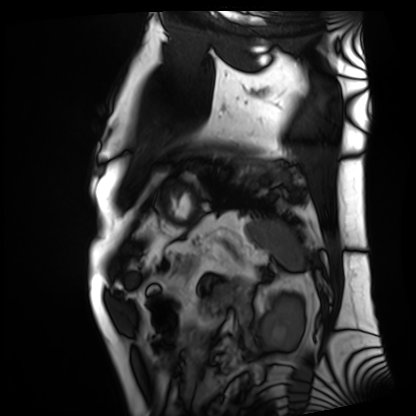
Case:
* modality — cardiac MRI
* subject group — patient